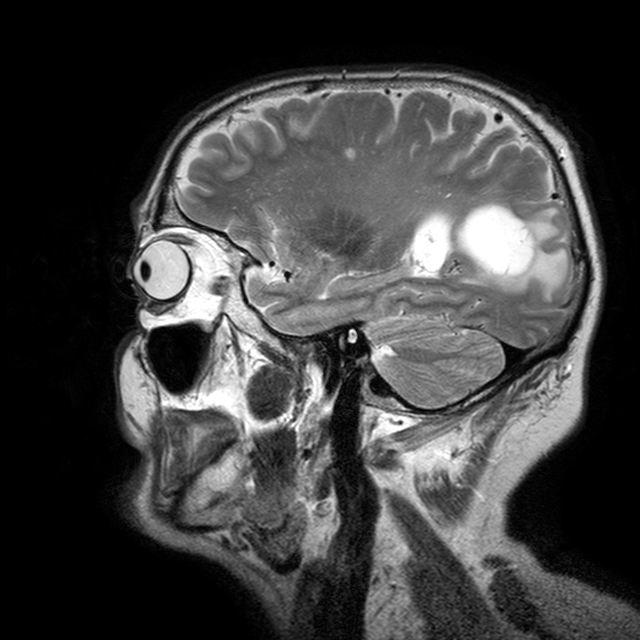
modality = 3 Tesla brain MRI; series = T2-weighted turbo spin echo with CLEAR; study = ring-enhancing brain masses.